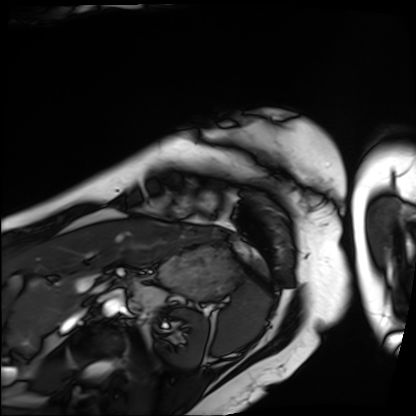
modality = cardiac MRI
subject group = patient